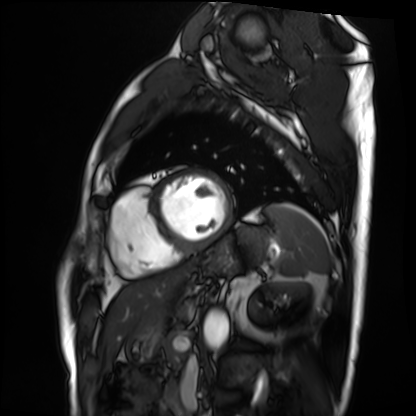
Summary: Cardiac MRI. Subject group: patient.